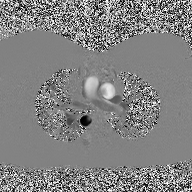
Summary: 2D phase-contrast cine MRI of the ascending aorta, high-resolution GRAPPA acquisition.